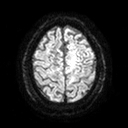
modality = 3 Tesla brain MRI | series = diffusion tensor imaging (medium iso) | study = ring-enhancing brain masses.